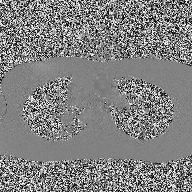
- modality: 2D phase-contrast cine MRI of the ascending aorta